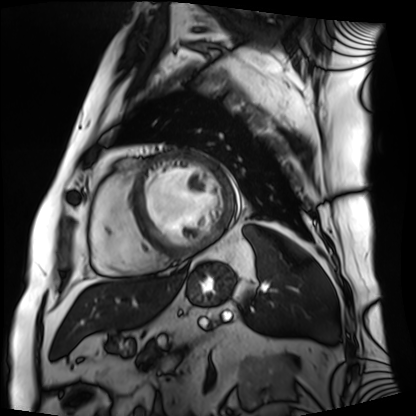
Cardiac MRI.
Subject group: patient.